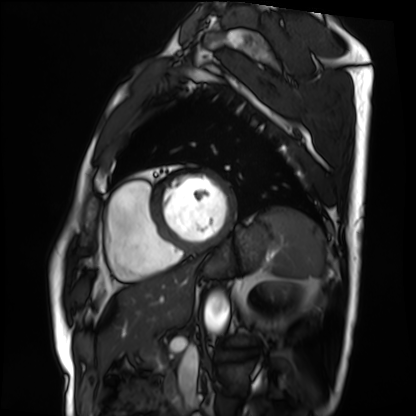
Case:
* modality: cardiac MRI
* subject group: patient